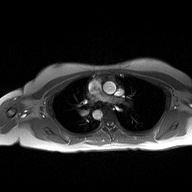
Case summary: 2D phase-contrast cine MRI of the ascending aorta, high-resolution GRAPPA acquisition.